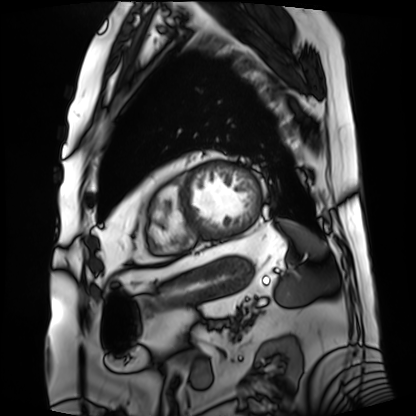
Case:
* modality · cardiac MRI
* subject group · patient